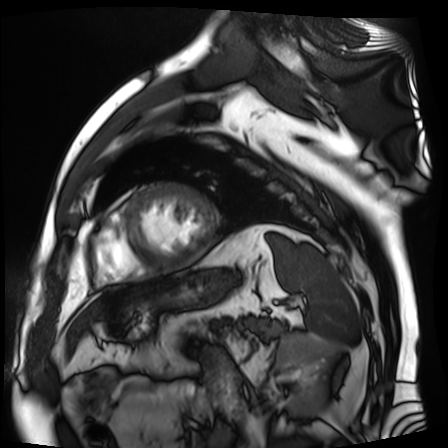
Summary:
Cardiac MR image of the myocardium. Subject cohort: cardiac patient.